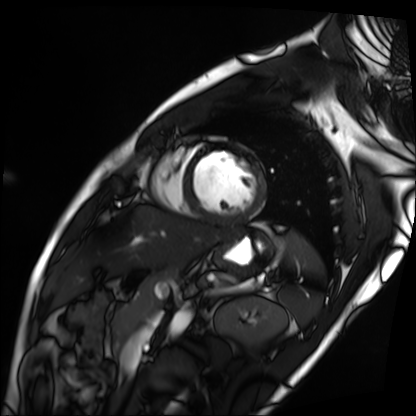
modality — cardiac MRI; subject group — patient.